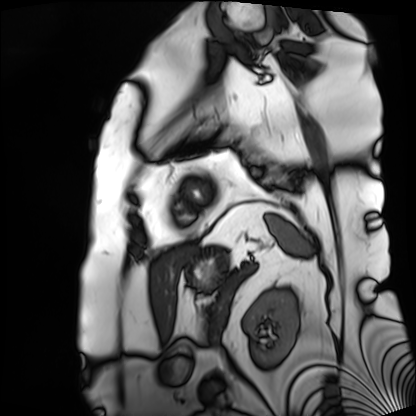
Summary:
Cardiac MRI. Subject group: patient.